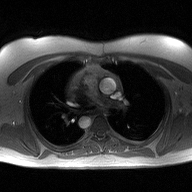
Q: What kind of scan is this?
A: 2D phase-contrast cine MRI of the ascending aorta.